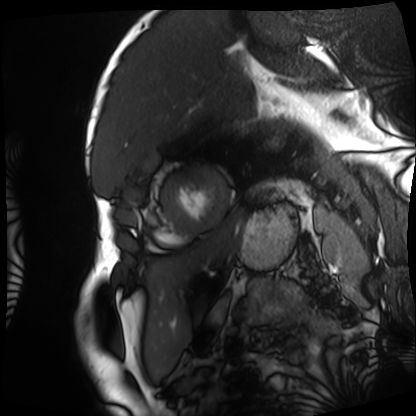
Case:
- modality · cardiac MRI
- subject group · patient